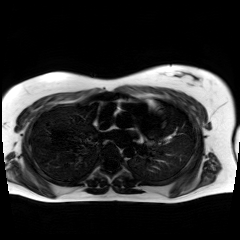
{
  "modality": "chemical-shift-encoded cardiac MRI"
}